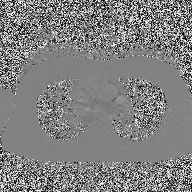
* modality · 2D phase-contrast cine MRI of the ascending aorta